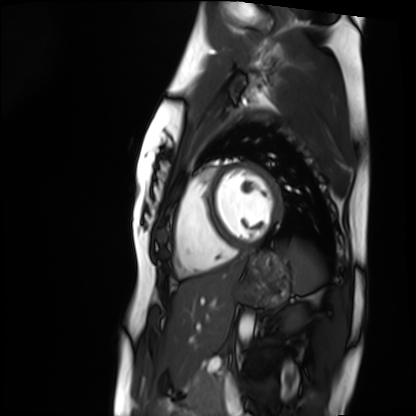
Cardiac MRI.
Subject group: healthy volunteer.